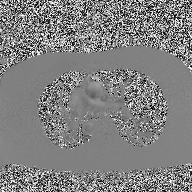
Case:
- modality · 2D phase-contrast cine MRI of the ascending aorta